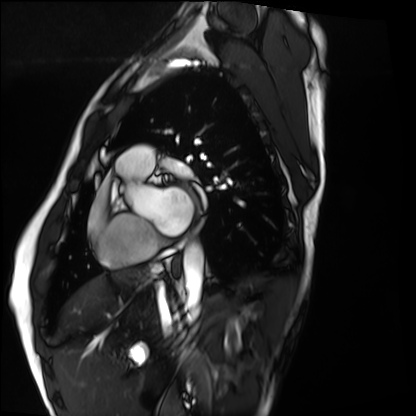
Clinical context:
Cardiac MRI. Subject group: healthy volunteer.